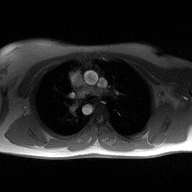
Summary:
2D phase-contrast cine MRI of the ascending aorta, high-resolution GRAPPA acquisition.